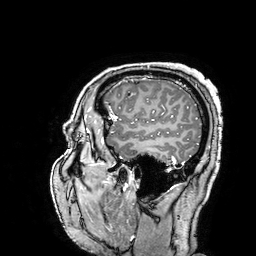
3 Tesla brain MRI. Series: 3D T1-weighted turbo field echo with SENSE. Study: ring-enhancing brain masses.